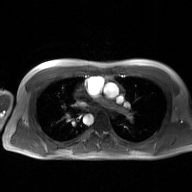
{
  "modality": {
    "type": "2D phase-contrast cine MRI",
    "region": "ascending aorta",
    "reconstruction": "GAN super-resolution reconstruction"
  }
}